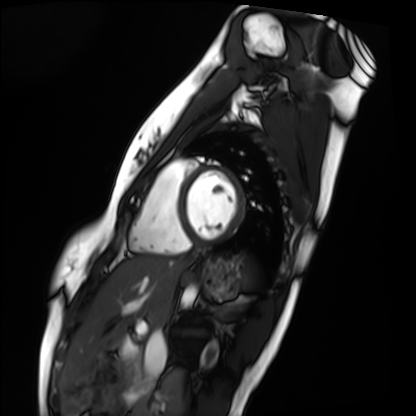
modality = cardiac MRI, subject group = healthy volunteer.